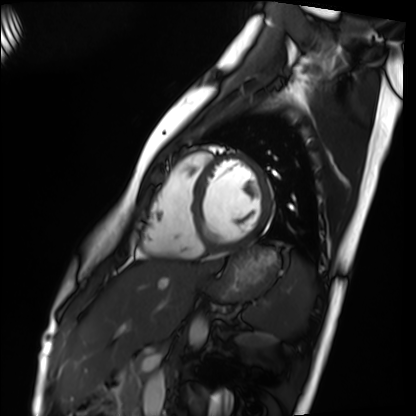
Cardiac MRI. Subject group: healthy volunteer.